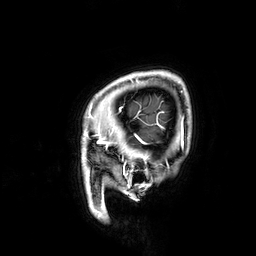
- modality — 3 Tesla brain MRI
- study — ring-enhancing brain masses